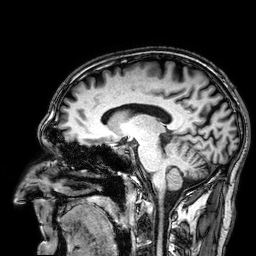
Q: What kind of scan is this?
A: 3 Tesla brain MRI.
Q: Series?
A: 3D T1-weighted.
Study: ring-enhancing brain masses.